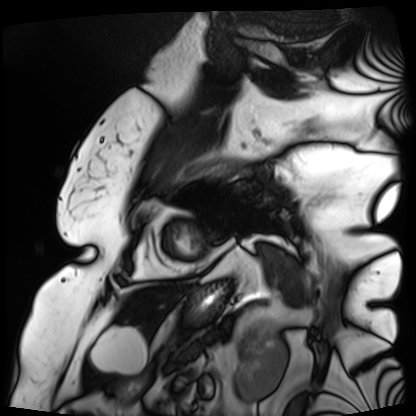
Case:
* modality: cardiac MRI
* subject group: patient